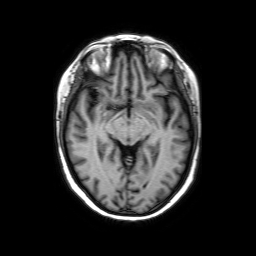
Summary: 3 Tesla brain MRI. Series: axial without contrast. Study: ring-enhancing brain masses.